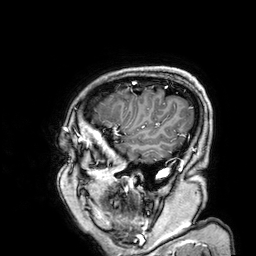
3 Tesla brain MRI. Series: 3D T1-weighted. Study: ring-enhancing brain masses.